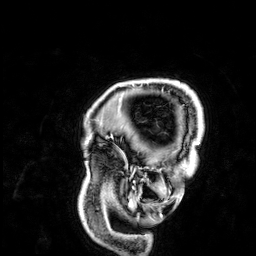
* modality — 3 Tesla brain MRI
* series — 3D T1-weighted
* study — ring-enhancing brain masses